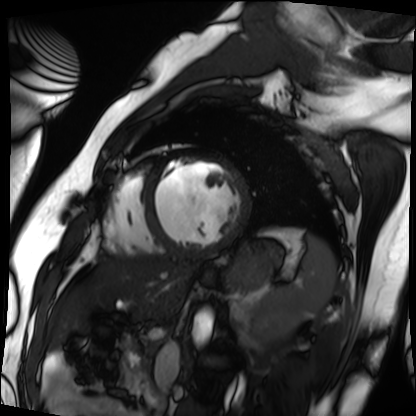
{
  "modality": "cardiac MRI",
  "cohort": "patient"
}